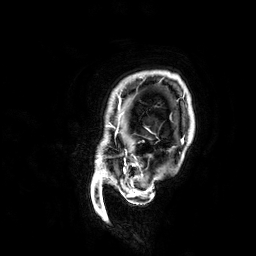
3 Tesla brain MRI.
Series: 3D T1-weighted.
Study: ring-enhancing brain masses.